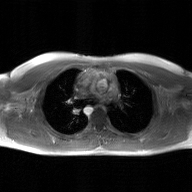
modality: 2D phase-contrast cine MRI of the ascending aorta, GAN super-resolution reconstruction